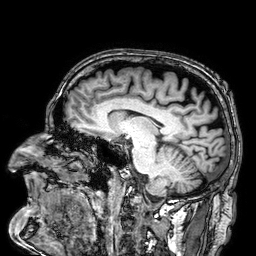
- modality · 3 Tesla brain MRI
- series · 3D T1-weighted
- study · ring-enhancing brain masses